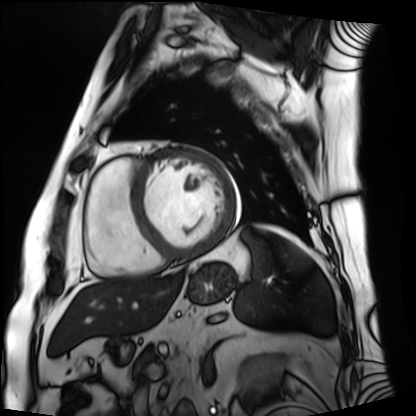
Cardiac MRI. Subject group: patient.